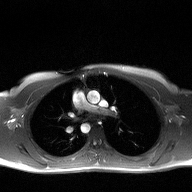
– modality — 2D phase-contrast cine MRI of the ascending aorta